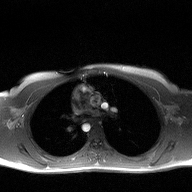
modality:
  type: 2D phase-contrast cine MRI
  region: ascending aorta
  reconstruction: high-resolution GRAPPA acquisition